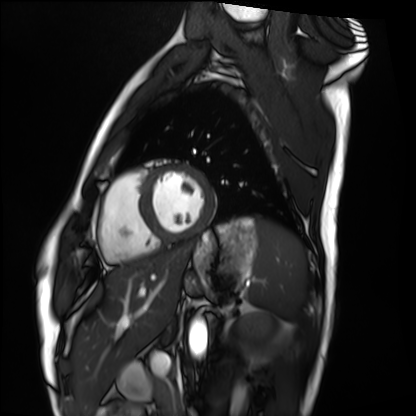
Cardiac MRI. Subject group: healthy volunteer.